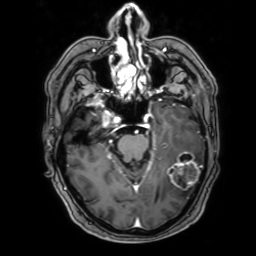
modality:
  type: brain MRI
  field_strength: 3T
series: 3D T1-weighted with SENSE
study_topic: ring-enhancing brain masses